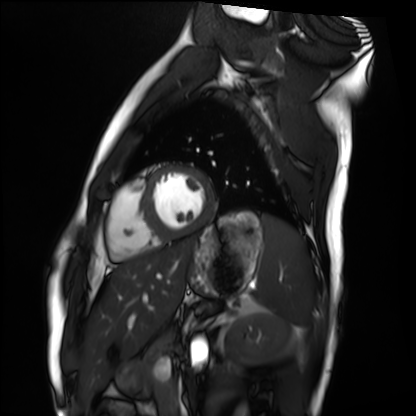
Cardiac MRI. Subject group: healthy volunteer.